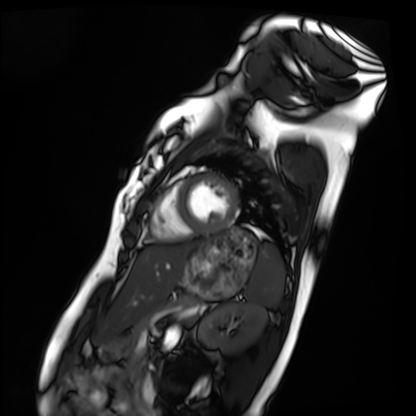
- modality · cardiac MRI
- subject group · healthy volunteer